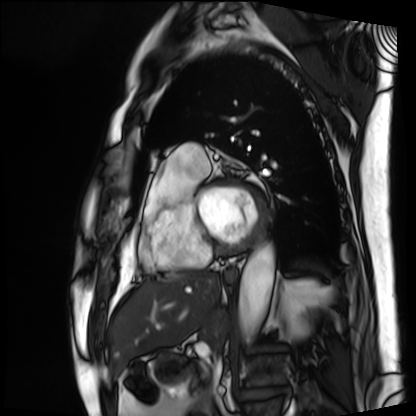
Case summary:
Cardiac MRI. Subject group: patient.